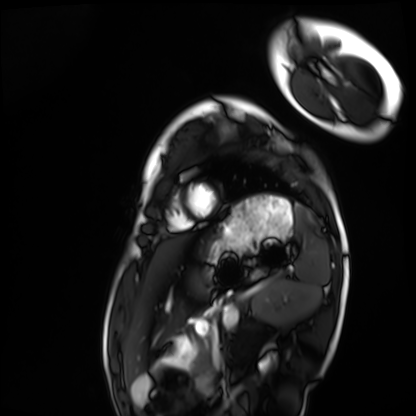
Summary: Cardiac MRI. Subject group: healthy volunteer.